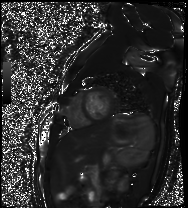
<study>
<modality>cardiac MR image of the myocardium</modality>
<cohort>healthy volunteer</cohort>
</study>